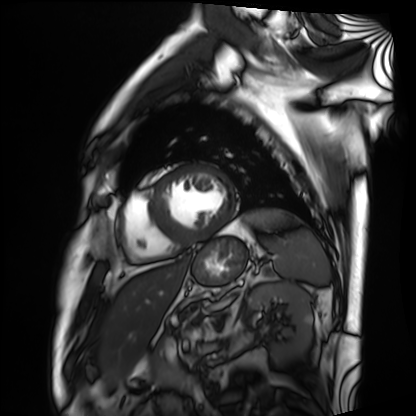
Clinical context:
Cardiac MRI. Subject group: patient.